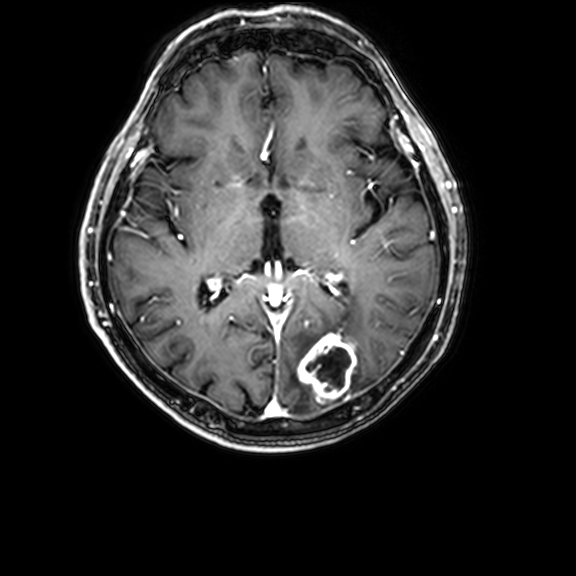
3 Tesla brain MRI. Series: 3D T1-weighted with CLEAR. Study: ring-enhancing brain masses.